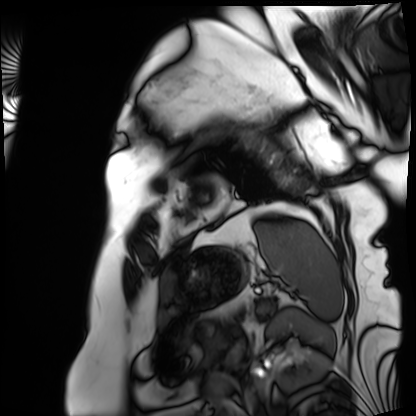
<scan>
  <modality>cardiac MRI</modality>
  <cohort>patient</cohort>
</scan>